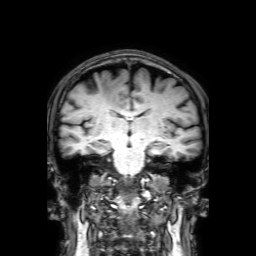
modality=3 Tesla brain MRI; series=3D T1-weighted with SENSE; study=ring-enhancing brain masses.